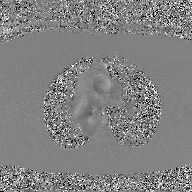
- modality · 2D phase-contrast cine MRI of the ascending aorta, GAN super-resolution reconstruction